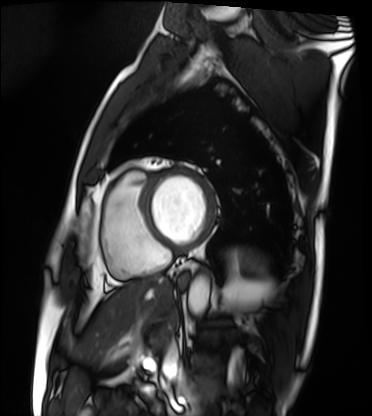
<case>
  <modality>cardiac MRI</modality>
  <cohort>patient</cohort>
</case>